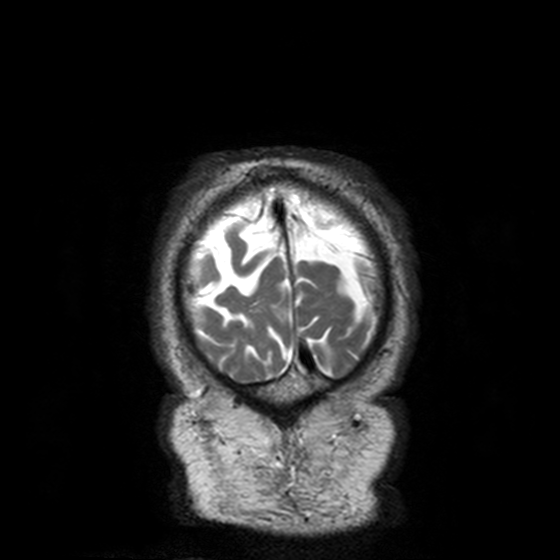
Summary: 3 Tesla brain MRI. Series: T2-weighted turbo spin echo, 3 mm. Study: ring-enhancing brain masses.